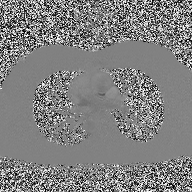
2D phase-contrast cine MRI of the ascending aorta, high-resolution GRAPPA acquisition.